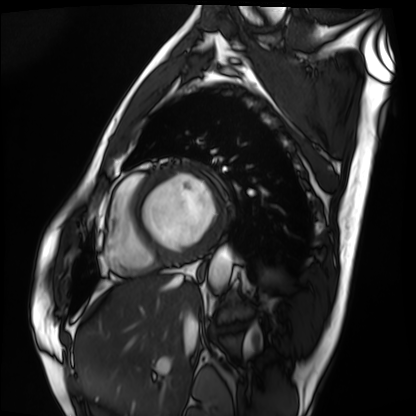
<record>
  <modality>cardiac MRI</modality>
  <cohort>patient</cohort>
</record>